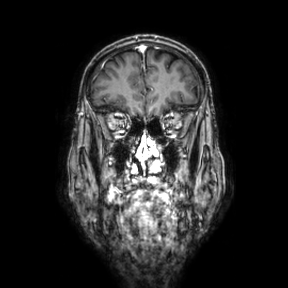
modality:
  type: brain MRI
  field_strength: 3T
series: coronal
study_topic: ring-enhancing brain masses